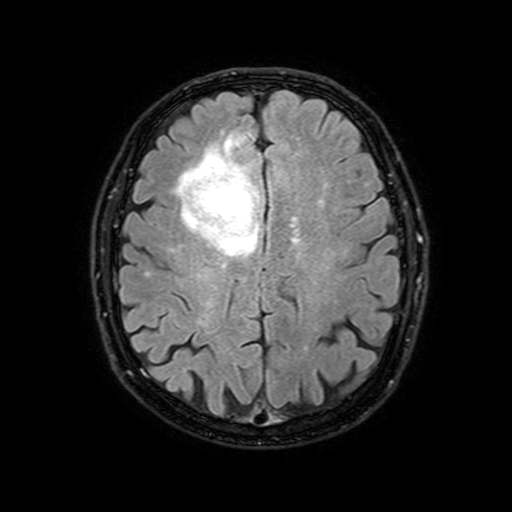
* modality — 3 Tesla brain MRI
* study — ring-enhancing brain masses